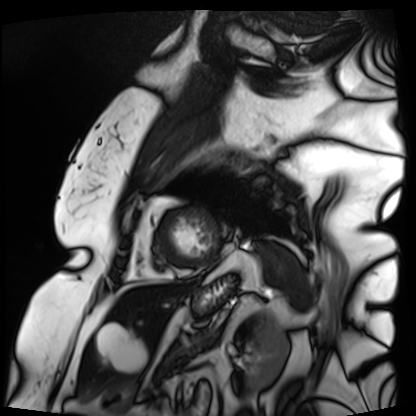
Q: What kind of scan is this?
A: Cardiac MRI.
Subject group: patient.